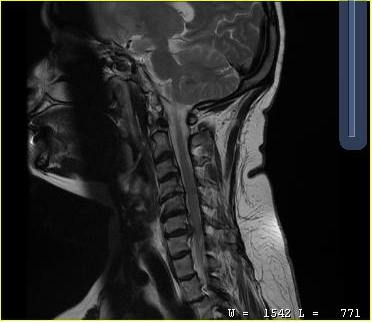
MRI of the cervical spine. Study: cervical spondylosis.